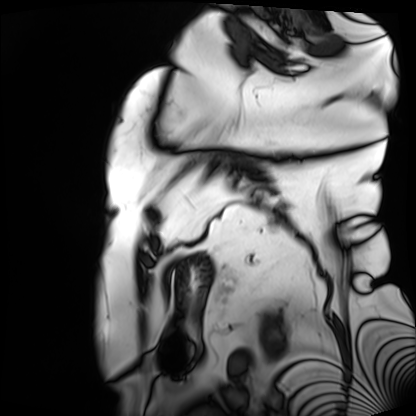
modality = cardiac MRI; subject group = patient.